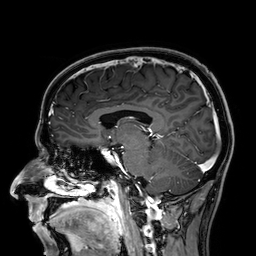
{"modality": {"type": "brain MRI", "field_strength": "3T"}, "series": "3D T1-weighted", "study_topic": "ring-enhancing brain masses"}